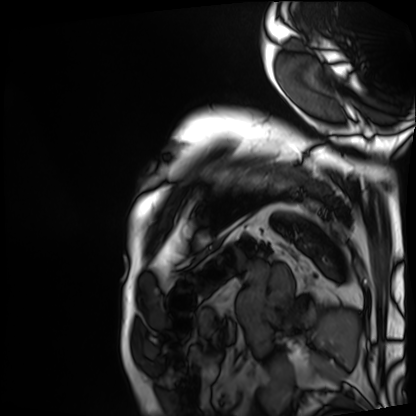
Cardiac MRI.
Subject group: patient.